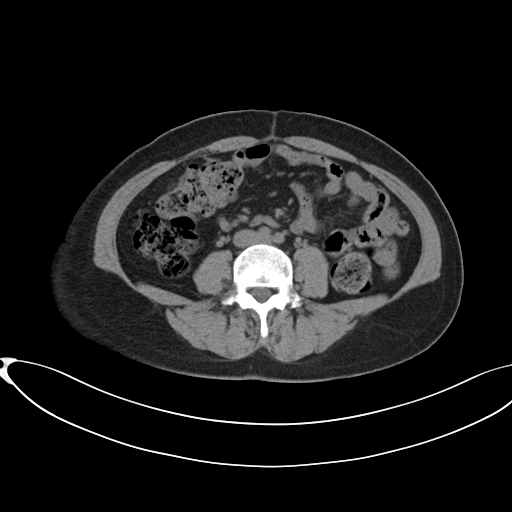
Multiphase abdominal CT, liver, non-contrast phase. Patient: female, age 38. History: prior chemotherapy.